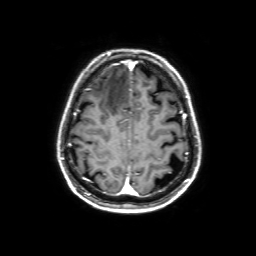
Summary:
3 Tesla brain MRI. Series: 3D T1-weighted with SENSE. Study: ring-enhancing brain masses.